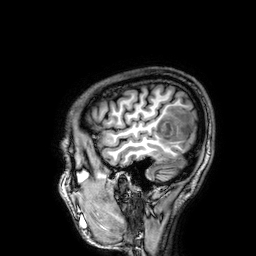
Summary: 3 Tesla brain MRI. Study: ring-enhancing brain masses.